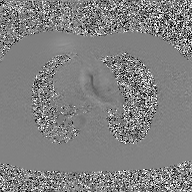
modality = 2D phase-contrast cine MRI of the ascending aorta, GAN super-resolution reconstruction.